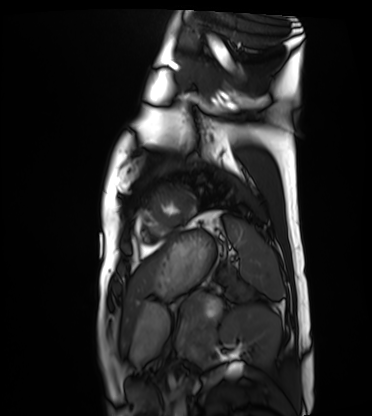
{
  "modality": "cardiac MRI",
  "cohort": "healthy volunteer"
}